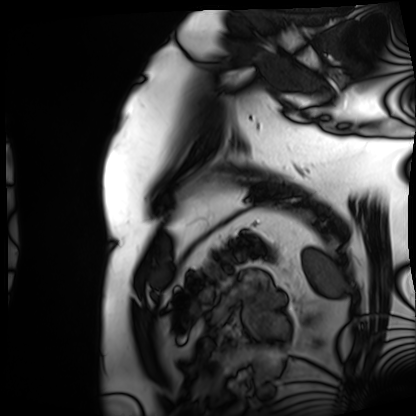
| field | value |
|---|---|
| modality | cardiac MRI |
| subject group | patient |